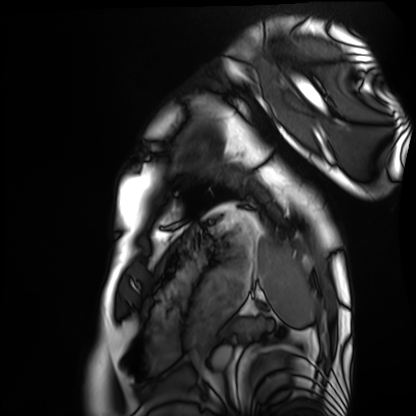
Cardiac MRI. Subject group: healthy volunteer.